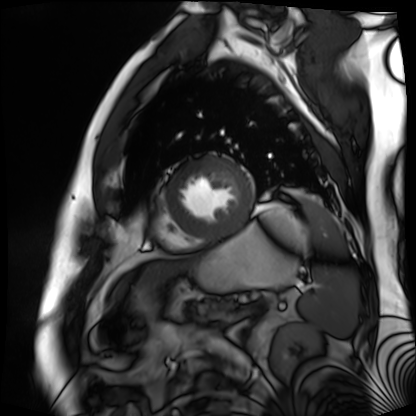
Q: What kind of scan is this?
A: Cardiac MR image of the myocardium.
Subject cohort: cardiac patient.